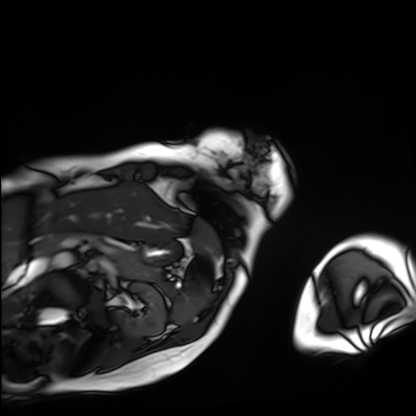
Cardiac MRI.
Subject group: patient.